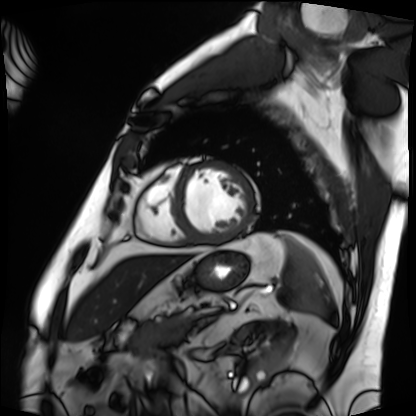
Cardiac MRI.
Subject group: patient.